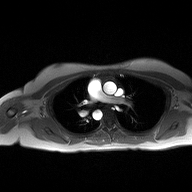
2D phase-contrast cine MRI of the ascending aorta, high-resolution GRAPPA acquisition.